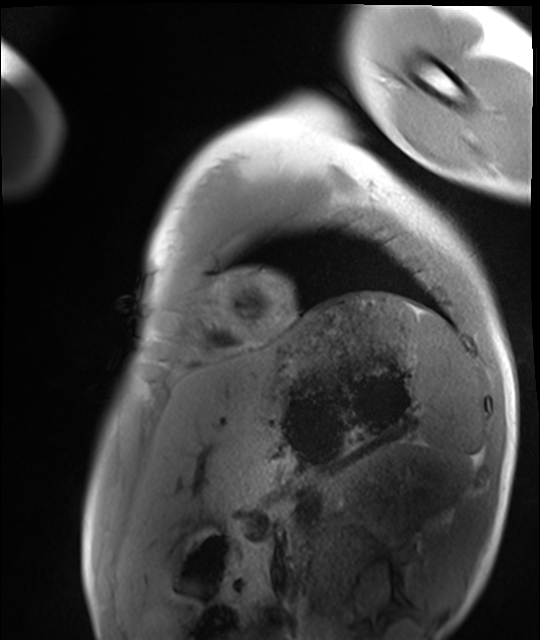
Clinical context:
Cardiac MRI. Subject group: healthy volunteer.